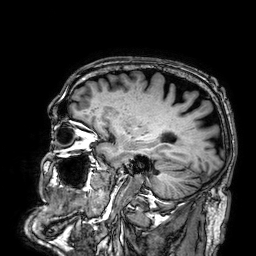
{
  "modality": {
    "type": "brain MRI",
    "field_strength": "3T"
  },
  "series": "3D T1-weighted",
  "study_topic": "ring-enhancing brain masses"
}